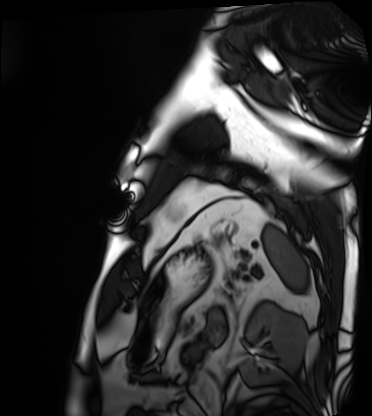
- modality — cardiac MRI
- subject group — patient